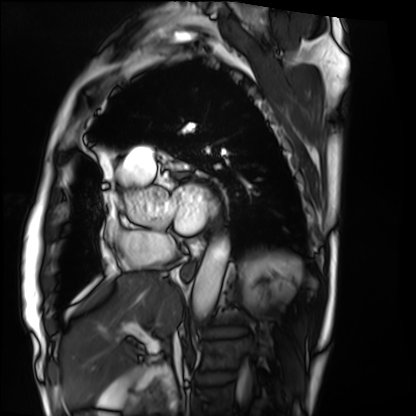
Q: What kind of scan is this?
A: Cardiac MRI.
Subject group: patient.